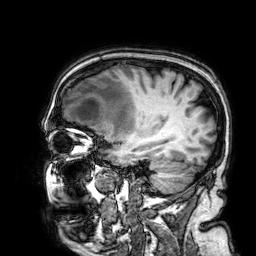
3 Tesla brain MRI. Series: 3D T1-weighted. Study: ring-enhancing brain masses.